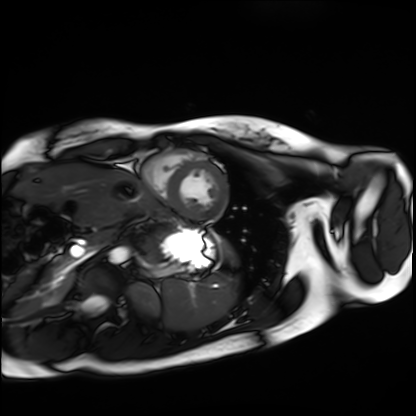
Q: What kind of scan is this?
A: Cardiac MRI.
Subject group: healthy volunteer.